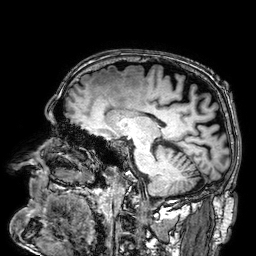
3 Tesla brain MRI. Series: 3D T1-weighted. Study: ring-enhancing brain masses.